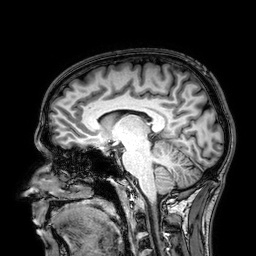
Q: What kind of scan is this?
A: 3 Tesla brain MRI.
Q: Series?
A: 3D T1-weighted.
Study: ring-enhancing brain masses.